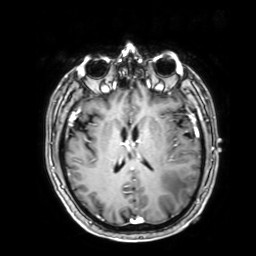
3 Tesla brain MRI. Series: 3D T1-weighted with SENSE. Study: ring-enhancing brain masses.